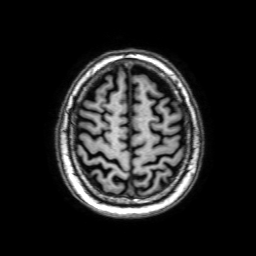
Q: What kind of scan is this?
A: 3 Tesla brain MRI.
Q: Series?
A: 3D T1-weighted with SENSE.
Study: ring-enhancing brain masses.